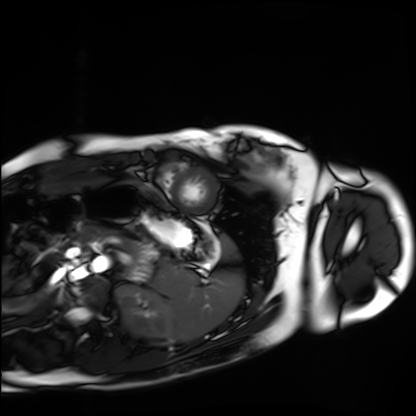
- modality: cardiac MRI
- subject group: healthy volunteer